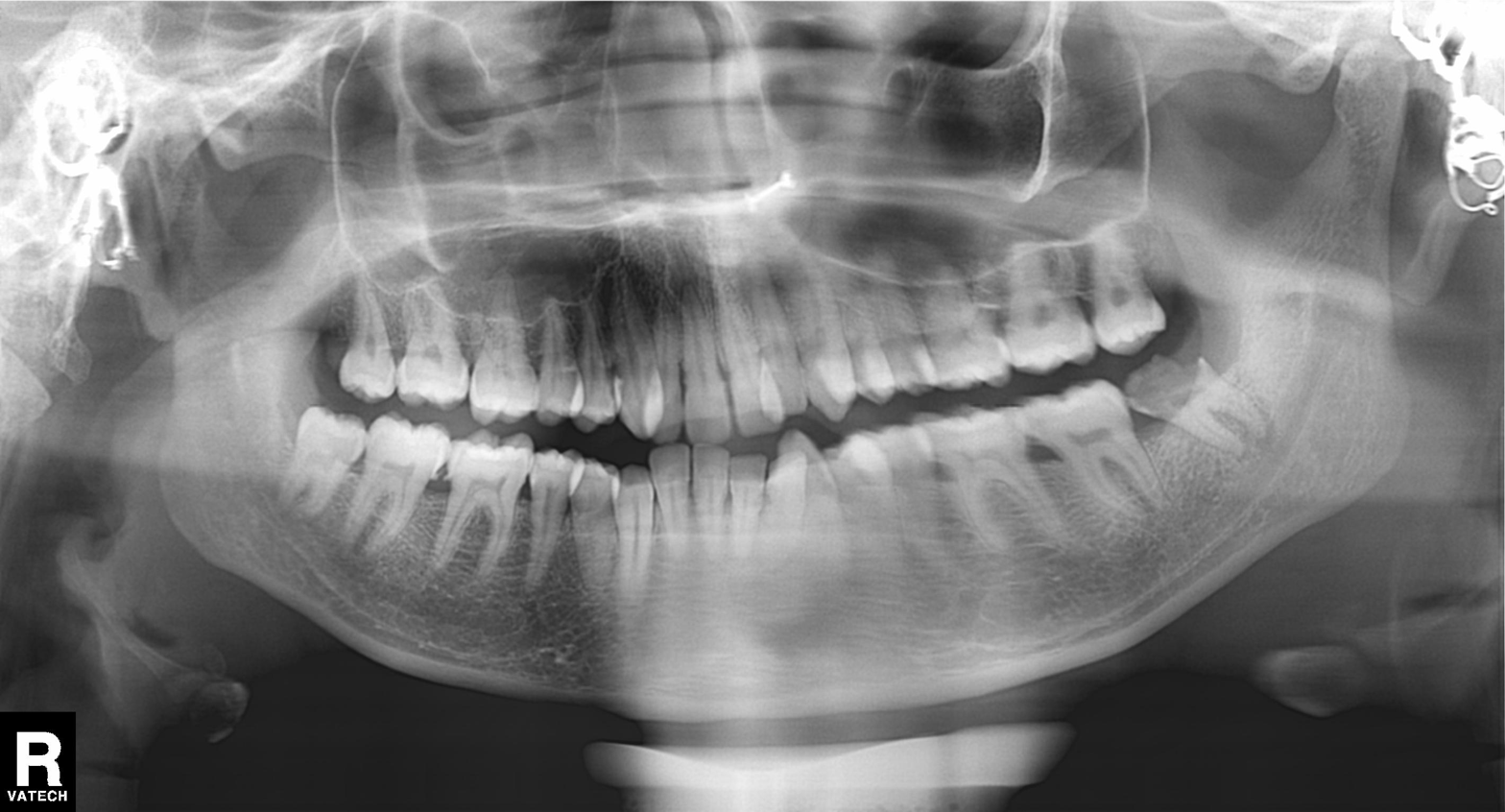
Panoramic dental radiograph (orthopantomogram). Finding: alveolar bone loss.